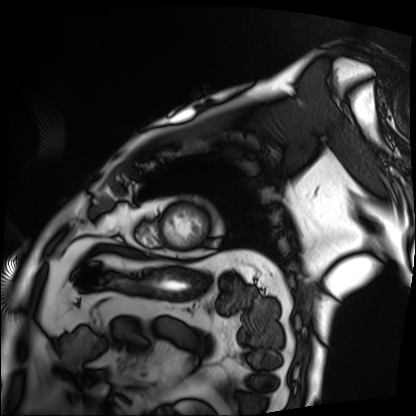
Case summary: Cardiac MRI. Subject group: patient.